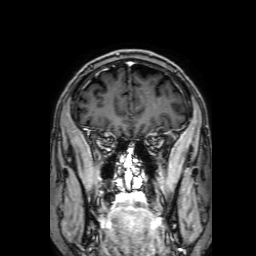
modality:
  type: brain MRI
  field_strength: 3T
series: 3D T1-weighted with SENSE
study_topic: ring-enhancing brain masses